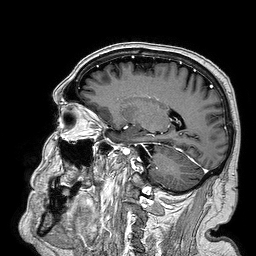
modality = 3 Tesla brain MRI; series = 3D T1-weighted turbo field echo; study = ring-enhancing brain masses.